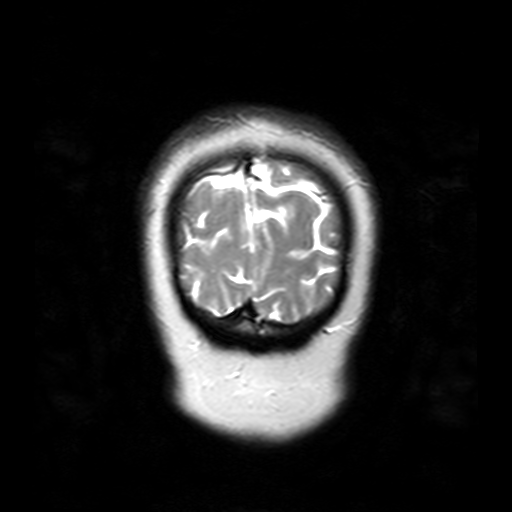
3 Tesla brain MRI. Series: T2-weighted turbo spin echo with SENSE. Study: ring-enhancing brain masses.